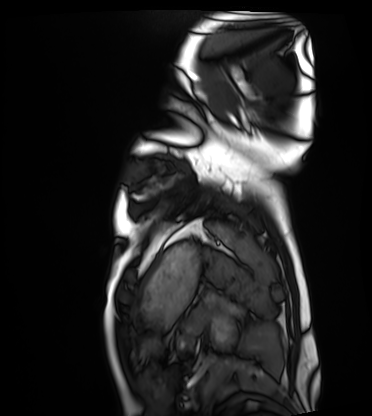
modality = cardiac MRI
subject group = healthy volunteer